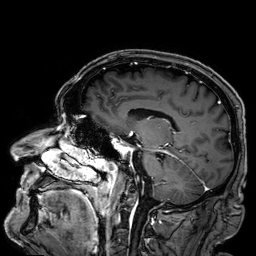
Q: What kind of scan is this?
A: 3 Tesla brain MRI.
Q: Series?
A: 3D T1-weighted.
Study: ring-enhancing brain masses.